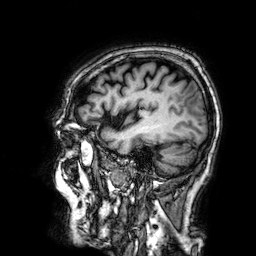
modality = 3 Tesla brain MRI
series = 3D T1-weighted
study = ring-enhancing brain masses